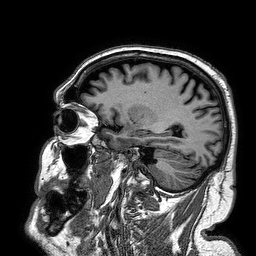
{
  "modality": {
    "type": "brain MRI",
    "field_strength": "3T"
  },
  "series": "3D T1-weighted turbo field echo",
  "study_topic": "ring-enhancing brain masses"
}